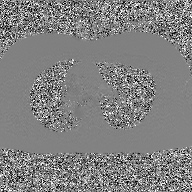
modality: 2D phase-contrast cine MRI of the ascending aorta, GAN super-resolution reconstruction